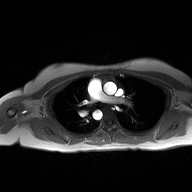
Summary:
2D phase-contrast cine MRI of the ascending aorta, high-resolution GRAPPA acquisition.